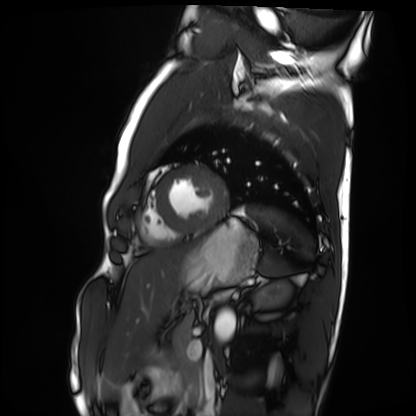
modality = cardiac MRI | subject group = healthy volunteer.